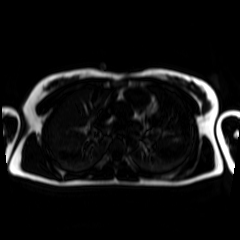
* modality — chemical-shift-encoded cardiac MRI